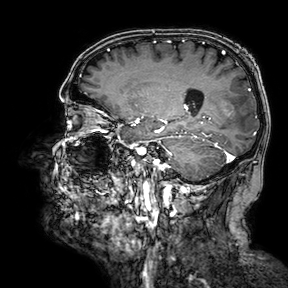
Q: What kind of scan is this?
A: 3 Tesla brain MRI.
Q: Series?
A: 3D T1-weighted turbo field echo with SENSE.
Study: ring-enhancing brain masses.